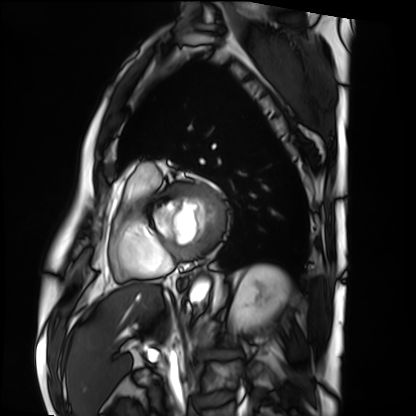
Q: What kind of scan is this?
A: Cardiac MRI.
Subject group: patient.